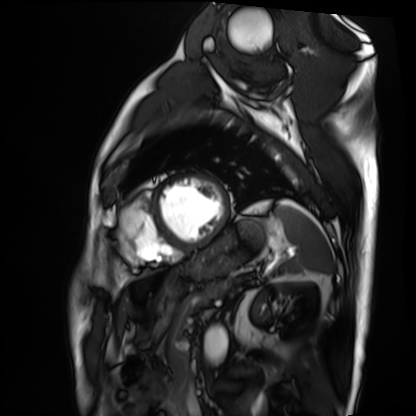
{"modality": "cardiac MRI", "cohort": "patient"}